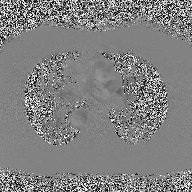
Summary:
2D phase-contrast cine MRI of the ascending aorta, high-resolution GRAPPA acquisition.